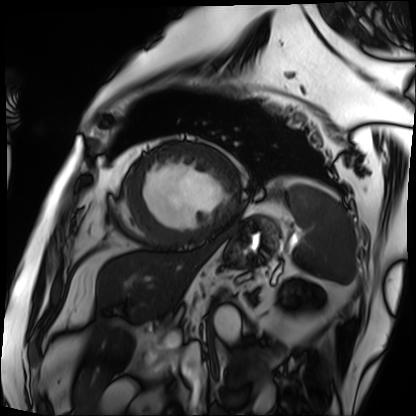
{"modality": "cardiac MRI", "cohort": "patient"}